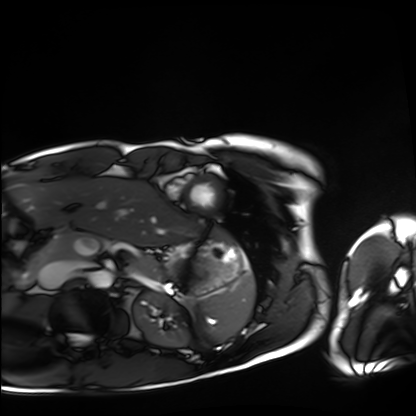
Cardiac MRI.
Subject group: healthy volunteer.